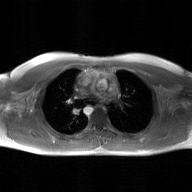
Case:
– modality · 2D phase-contrast cine MRI of the ascending aorta, GAN super-resolution reconstruction